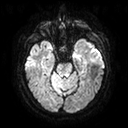
* modality · 3 Tesla brain MRI
* series · diffusion tensor imaging (medium iso)
* study · ring-enhancing brain masses